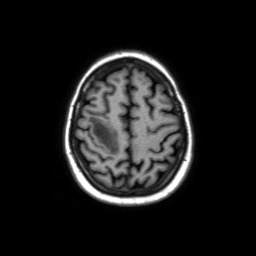
modality: 3 Tesla brain MRI | series: axial without contrast | study: ring-enhancing brain masses.